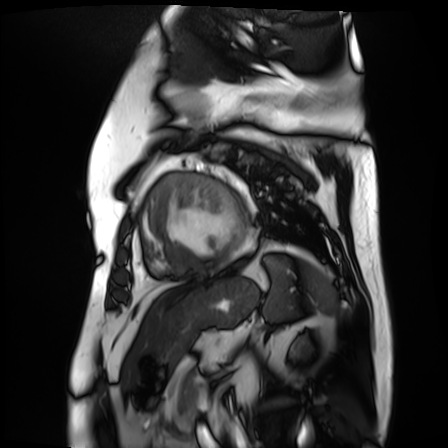
Clinical context:
Cardiac MR image of the myocardium. Subject cohort: cardiac patient.